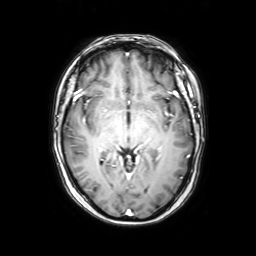
Case summary: 3 Tesla brain MRI. Series: axial with contrast. Study: ring-enhancing brain masses.